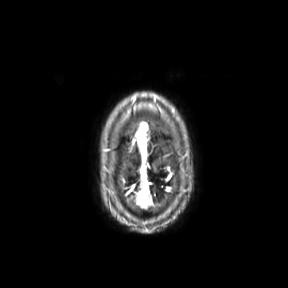
Clinical context: 3 Tesla brain MRI. Series: axial. Study: ring-enhancing brain masses.